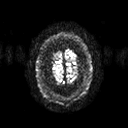
* modality: 3 Tesla brain MRI
* study: ring-enhancing brain masses